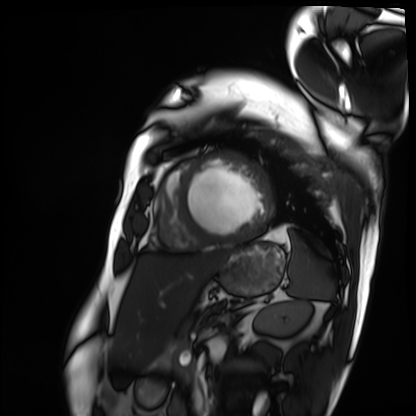
Q: What kind of scan is this?
A: Cardiac MRI.
Subject group: patient.